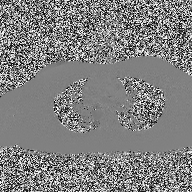
Summary:
2D phase-contrast cine MRI of the ascending aorta, high-resolution GRAPPA acquisition.